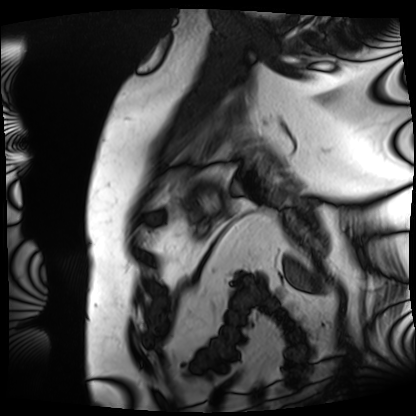
{
  "modality": "cardiac MRI",
  "cohort": "patient"
}